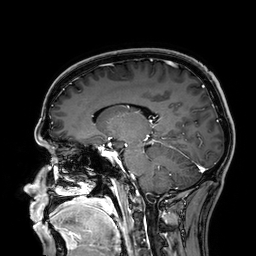
Summary:
3 Tesla brain MRI. Series: 3D T1-weighted. Study: ring-enhancing brain masses.